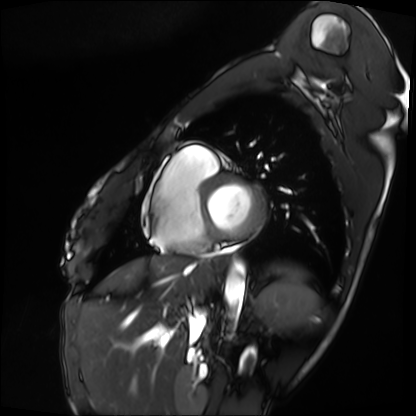
Case summary:
Cardiac MRI. Subject group: patient.